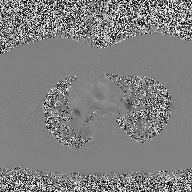
2D phase-contrast cine MRI of the ascending aorta, high-resolution GRAPPA acquisition.